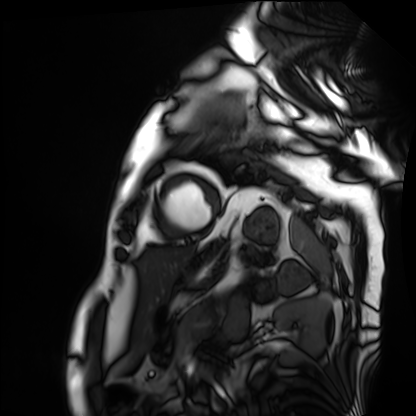
Cardiac MRI.
Subject group: patient.